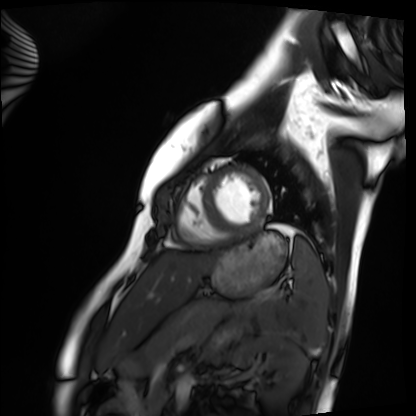
Clinical context: Cardiac MRI. Subject group: healthy volunteer.